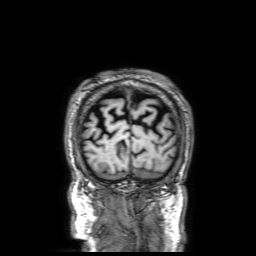
modality: 3 Tesla brain MRI | series: 3D T1-weighted with SENSE | study: ring-enhancing brain masses.